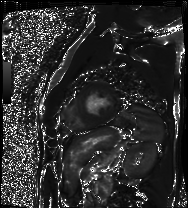
modality: cardiac MRI | subject group: patient.